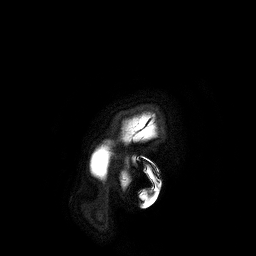
3 Tesla brain MRI. Series: 3D T1-weighted turbo field echo. Study: ring-enhancing brain masses.